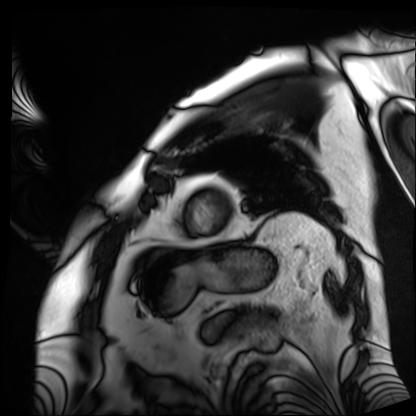
<case>
  <modality>cardiac MRI</modality>
  <cohort>patient</cohort>
</case>